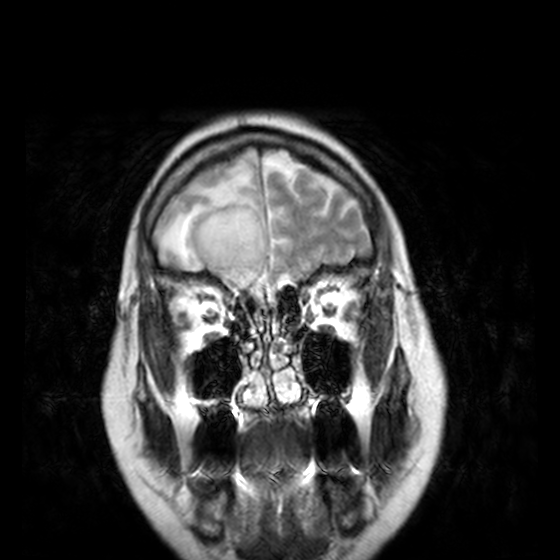
Q: What kind of scan is this?
A: 3 Tesla brain MRI.
Q: Series?
A: T2-weighted turbo spin echo, 3 mm.
Study: ring-enhancing brain masses.